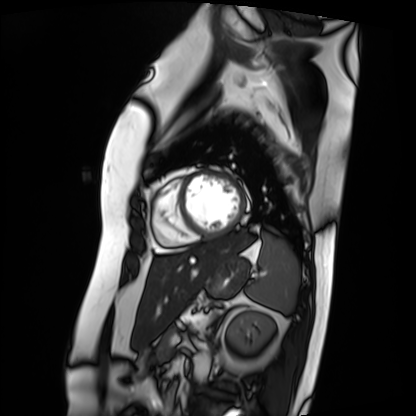
Clinical context: Cardiac MRI. Subject group: patient.